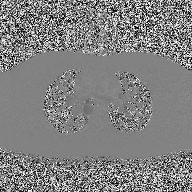
modality=2D phase-contrast cine MRI of the ascending aorta